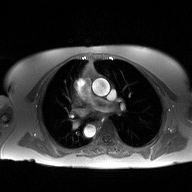
2D phase-contrast cine MRI of the ascending aorta, high-resolution GRAPPA acquisition.